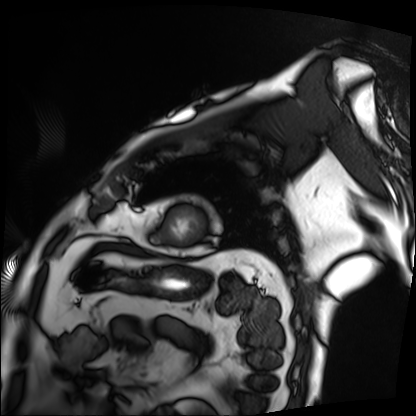
{"modality": "cardiac MRI", "cohort": "patient"}